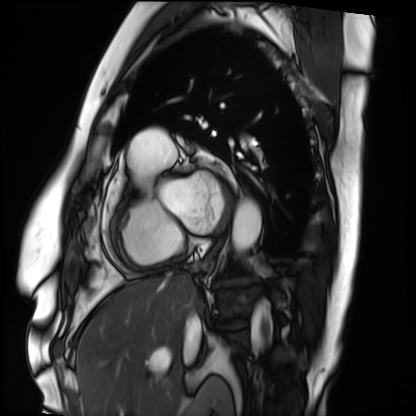
modality = cardiac MRI, subject group = patient.